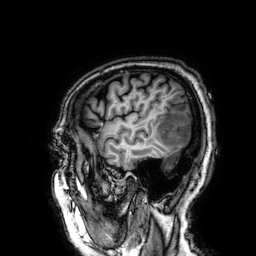
Clinical context:
3 Tesla brain MRI. Series: 3D T1-weighted. Study: ring-enhancing brain masses.